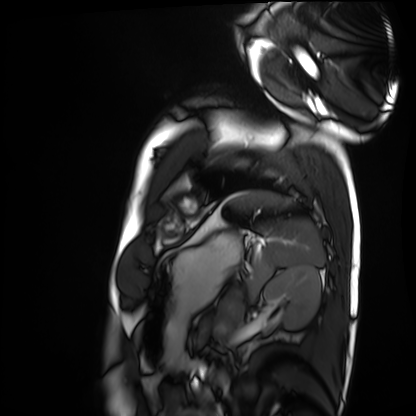
Summary:
Cardiac MRI. Subject group: healthy volunteer.